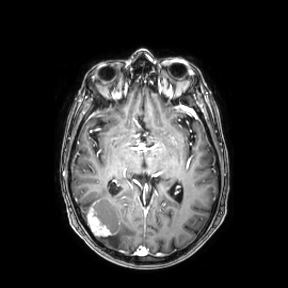
• modality — 3 Tesla brain MRI
• series — axial
• study — ring-enhancing brain masses